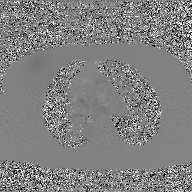
2D phase-contrast cine MRI of the ascending aorta, GAN super-resolution reconstruction.